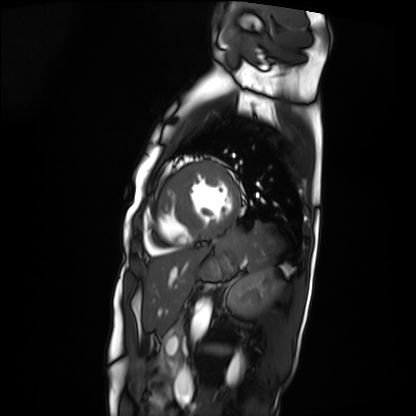
modality=cardiac MRI; subject group=patient.